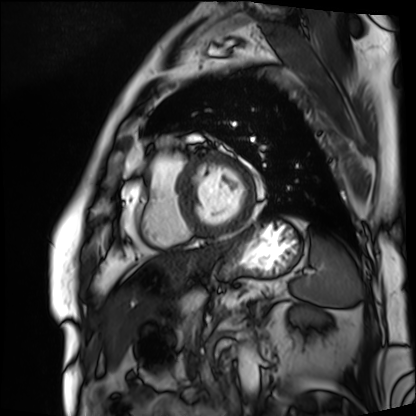
modality — cardiac MRI | subject group — patient.